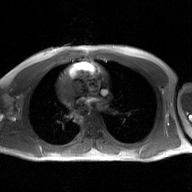
Case:
– modality · 2D phase-contrast cine MRI of the ascending aorta, GAN super-resolution reconstruction